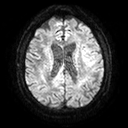
3 Tesla brain MRI. Series: diffusion tensor imaging (medium iso). Study: ring-enhancing brain masses.